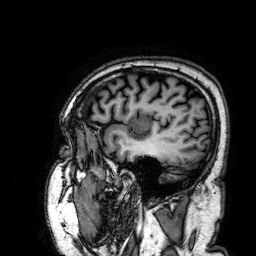
| field | value |
|---|---|
| modality | 3 Tesla brain MRI |
| series | 3D T1-weighted |
| study | ring-enhancing brain masses |